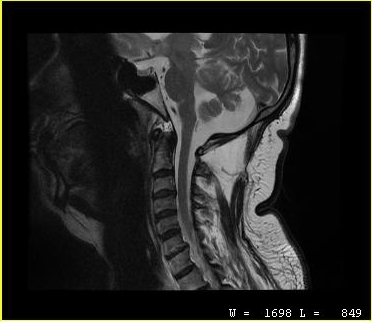
MRI of the cervical spine. Study: cervical spondylosis.